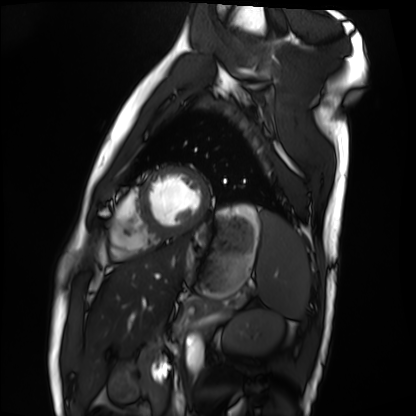
Q: What kind of scan is this?
A: Cardiac MRI.
Subject group: healthy volunteer.